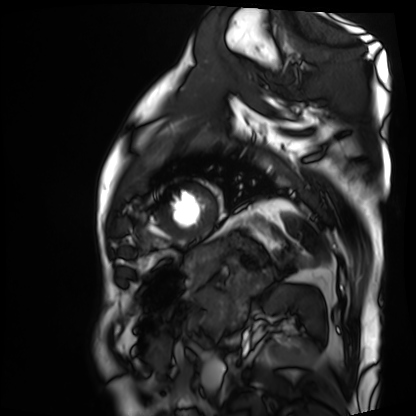
• modality · cardiac MRI
• subject group · patient